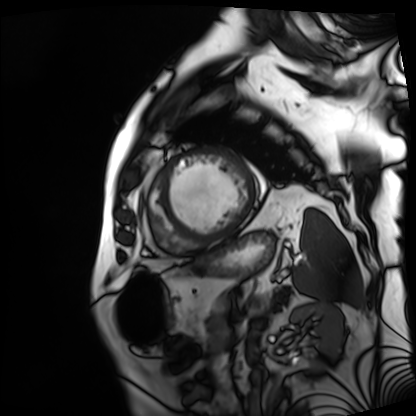
modality = cardiac MRI
subject group = patient